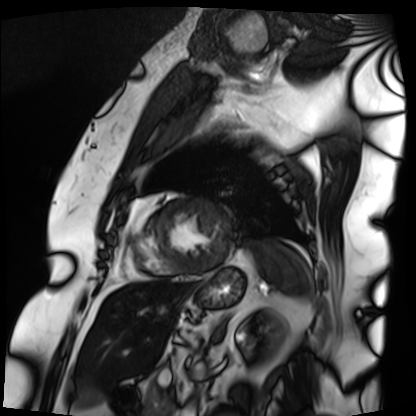
Clinical context:
Cardiac MRI. Subject group: patient.